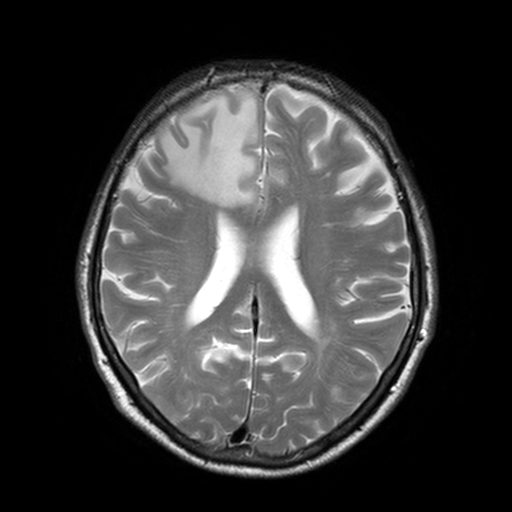
modality: 3 Tesla brain MRI; study: ring-enhancing brain masses.